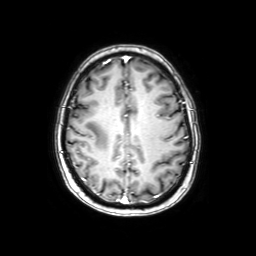
3 Tesla brain MRI.
Series: axial with contrast.
Study: ring-enhancing brain masses.